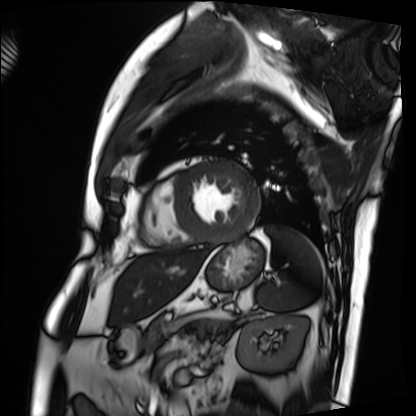
modality — cardiac MRI | subject group — patient.